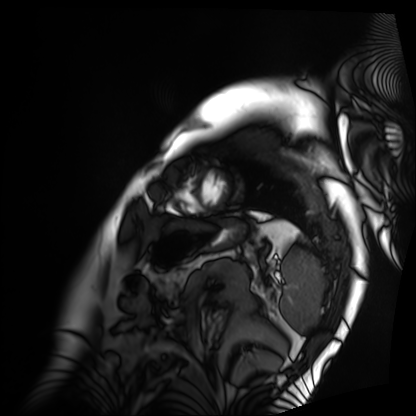
modality: cardiac MRI
subject group: patient